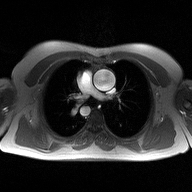
2D phase-contrast cine MRI of the ascending aorta, high-resolution GRAPPA acquisition.